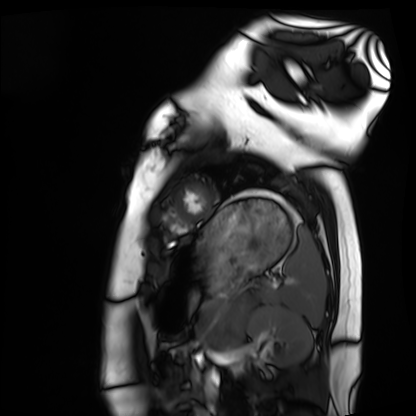
Cardiac MRI.
Subject group: healthy volunteer.